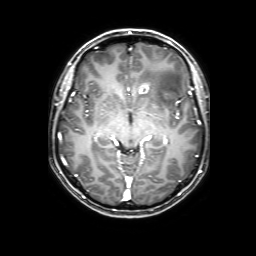
| field | value |
|---|---|
| modality | 3 Tesla brain MRI |
| series | 3D T1-weighted with SENSE |
| study | ring-enhancing brain masses |